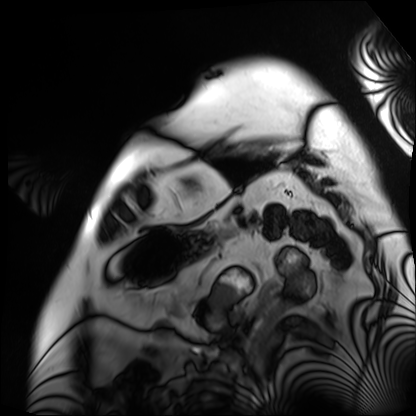
modality = cardiac MRI, subject group = patient.